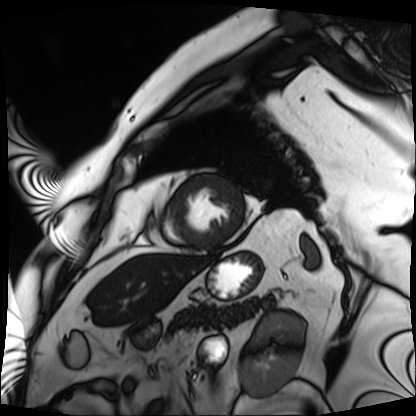
Cardiac MRI.
Subject group: patient.